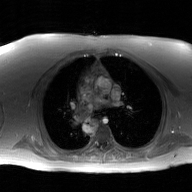
Q: What kind of scan is this?
A: 2D phase-contrast cine MRI of the ascending aorta, GAN super-resolution reconstruction.